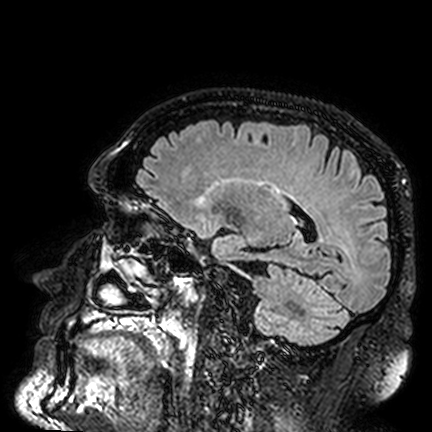
Case summary:
3 Tesla brain MRI. Series: FLAIR VISTA. Study: ring-enhancing brain masses.